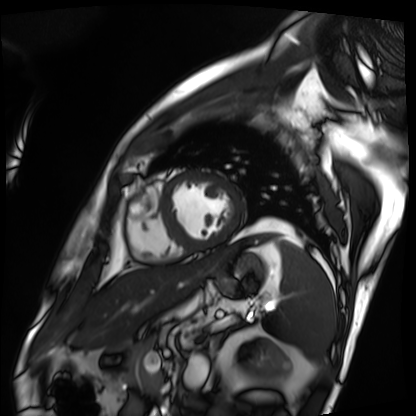
* modality — cardiac MRI
* subject group — patient